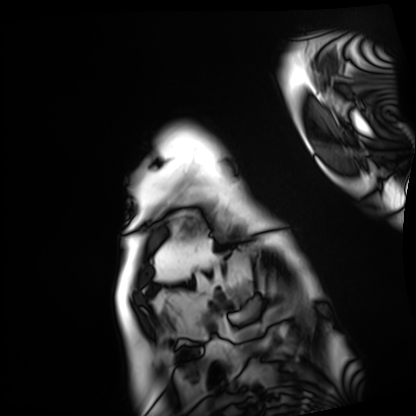
Clinical context: Cardiac MRI. Subject group: patient.